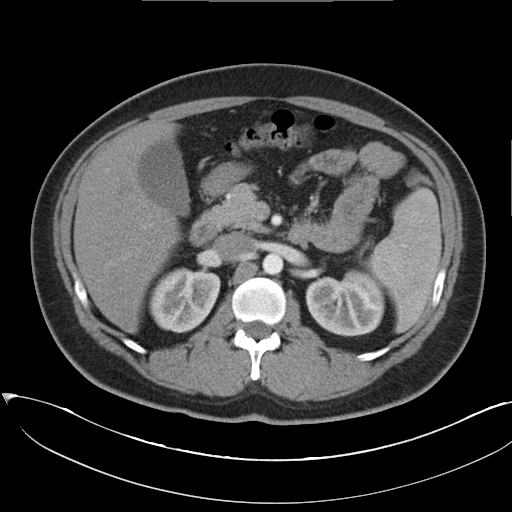
Clinical context:
Multiphase abdominal CT, liver, arterial phase. Patient: female, age 35.